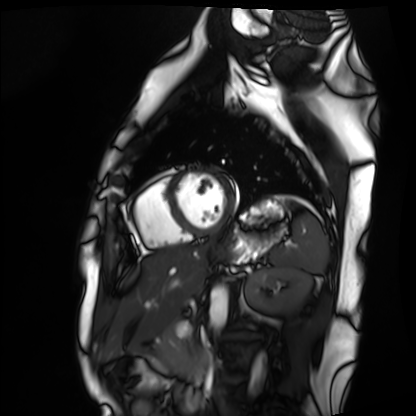
Cardiac MRI. Subject group: healthy volunteer.